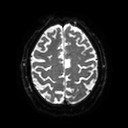
Case summary: 3 Tesla brain MRI. Series: diffusion tensor imaging (medium iso). Study: ring-enhancing brain masses.